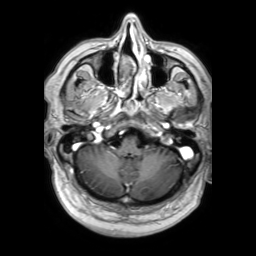
  modality:
    type: brain MRI
    field_strength: 3T
  series: 3D T1-weighted TFE with SENSE
  study_topic: ring-enhancing brain masses